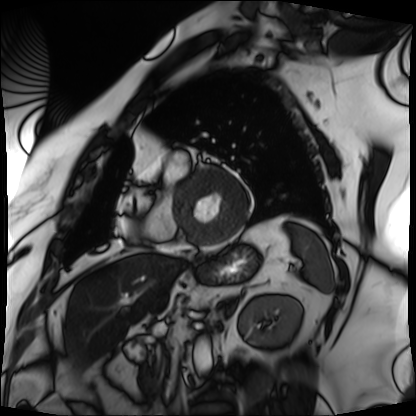
• modality · cardiac MRI
• subject group · patient